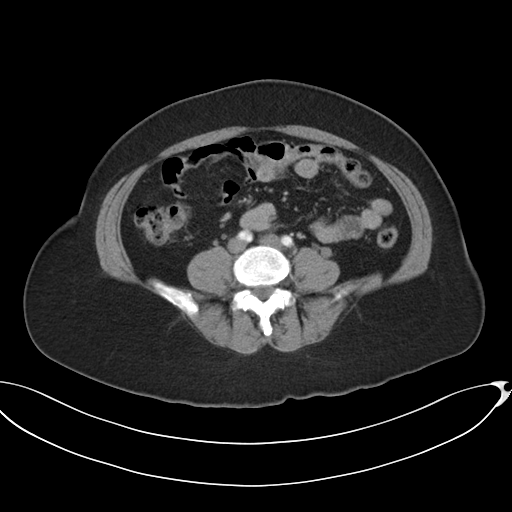
Case summary: Multiphase abdominal CT, liver, arterial phase. Patient: female, age 52.